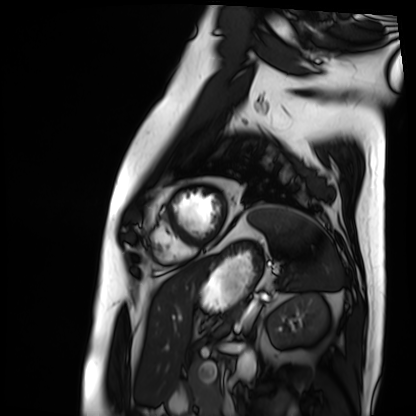
<record>
<modality>cardiac MRI</modality>
<cohort>patient</cohort>
</record>